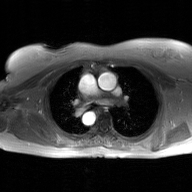
2D phase-contrast cine MRI of the ascending aorta, GAN super-resolution reconstruction.